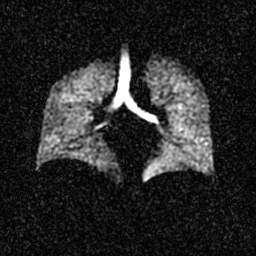
Hyperpolarized 129Xe ventilation MRI of the lungs.
SNR level 3 of 8 (the deposit holds this scan as its native image and as seven SNR-degraded versions).